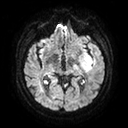
Case:
– modality · 3 Tesla brain MRI
– series · diffusion tensor imaging (medium iso)
– study · ring-enhancing brain masses